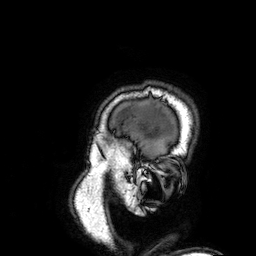
3 Tesla brain MRI.
Series: 3D T1-weighted.
Study: ring-enhancing brain masses.